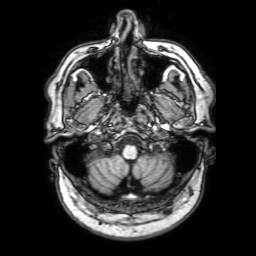
3 Tesla brain MRI. Series: 3D T1-weighted with SENSE. Study: ring-enhancing brain masses.